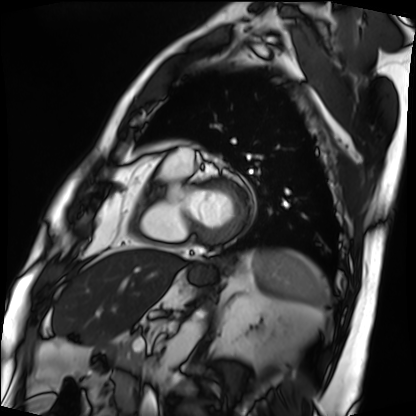
Summary: Cardiac MRI. Subject group: patient.